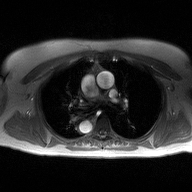
Q: What kind of scan is this?
A: 2D phase-contrast cine MRI of the ascending aorta.